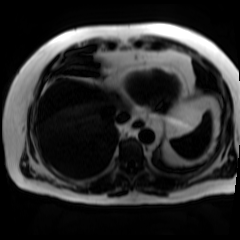
Chemical-shift-encoded cardiac MRI.